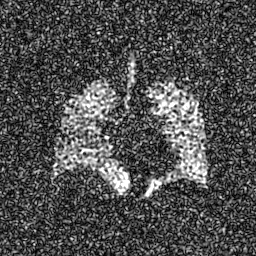
modality — hyperpolarized 129Xe ventilation MRI of the lungs
SNR level — 8 of 8 (the deposit holds this scan as its native image and as seven SNR-degraded versions)